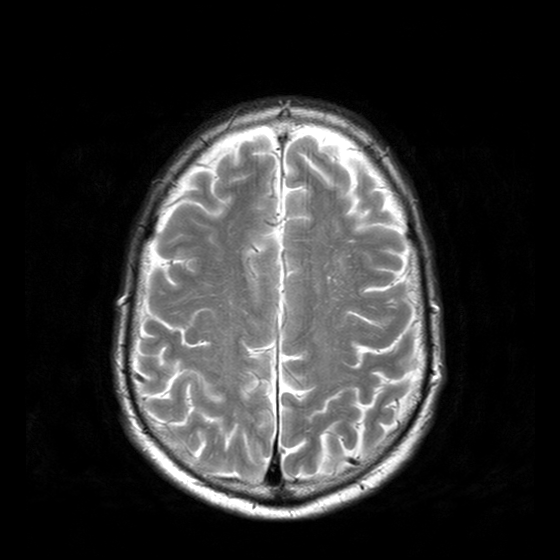
3 Tesla brain MRI. Series: T2-weighted turbo spin echo with CLEAR. Study: ring-enhancing brain masses.